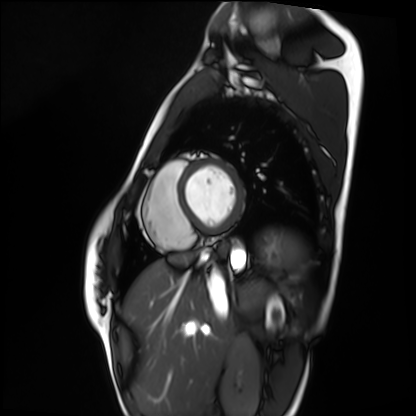
Cardiac MRI. Subject group: healthy volunteer.